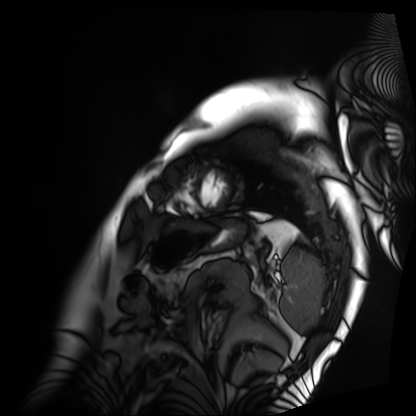
Cardiac MRI. Subject group: patient.